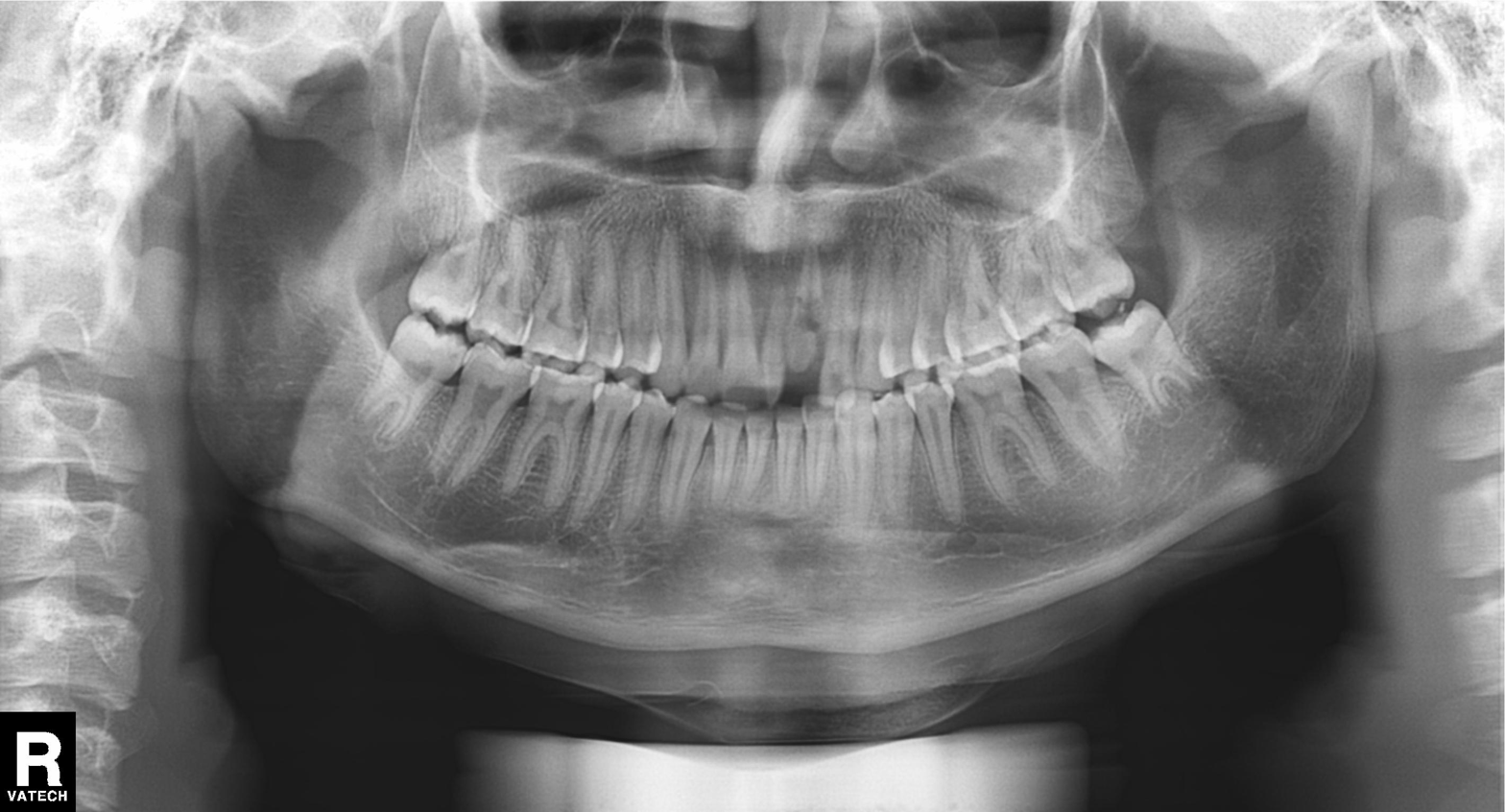
Case summary: Panoramic dental radiograph (orthopantomogram).
Diagnosis: Dental caries (cavities).